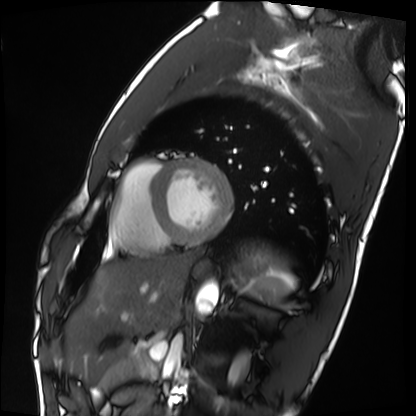
Case:
* modality: cardiac MRI
* subject group: healthy volunteer